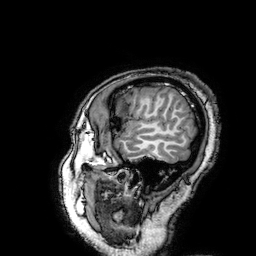
3 Tesla brain MRI. Series: 3D T1-weighted turbo field echo with SENSE. Study: ring-enhancing brain masses.